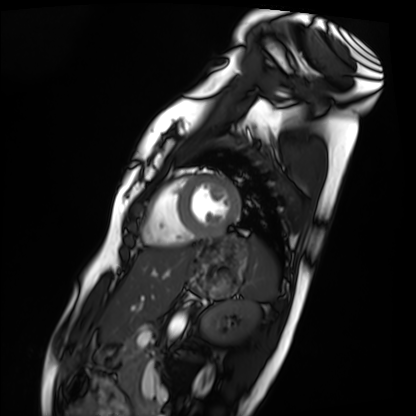
{"modality": "cardiac MRI", "cohort": "healthy volunteer"}